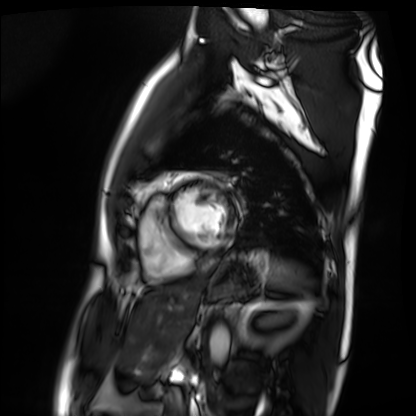
Cardiac MRI. Subject group: patient.